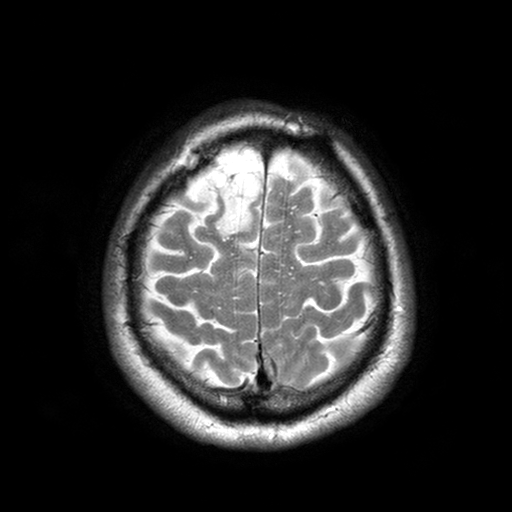
3 Tesla brain MRI. Series: T2-weighted turbo spin echo with SENSE. Study: ring-enhancing brain masses.